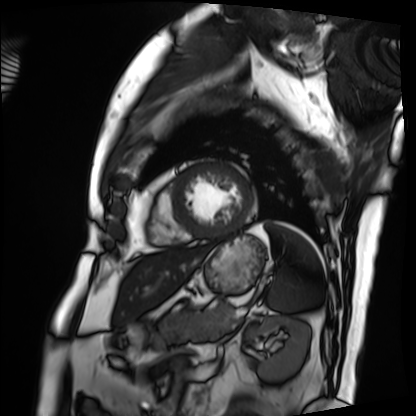
Cardiac MRI. Subject group: patient.